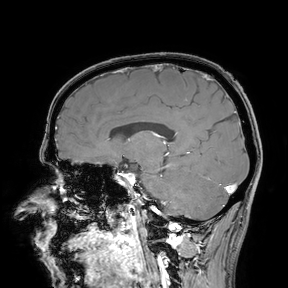
{"modality": {"type": "brain MRI", "field_strength": "3T"}, "study_topic": "ring-enhancing brain masses"}